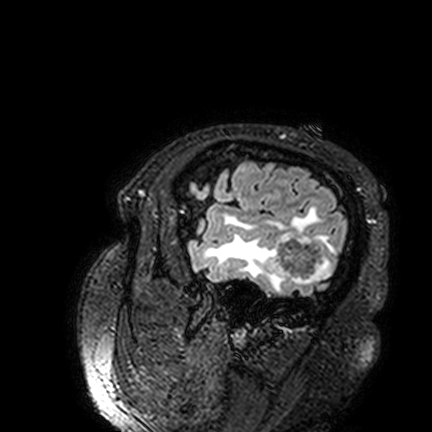
3 Tesla brain MRI. Series: FLAIR VISTA. Study: ring-enhancing brain masses.